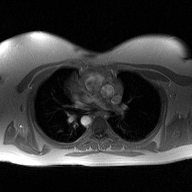
2D phase-contrast cine MRI of the ascending aorta, high-resolution GRAPPA acquisition.